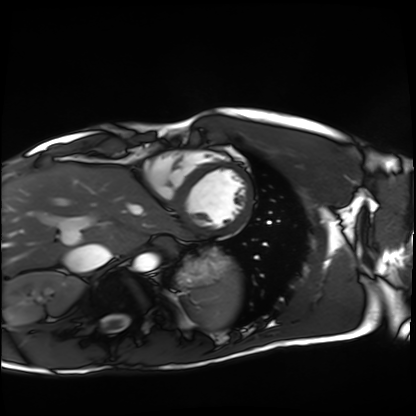
Q: What kind of scan is this?
A: Cardiac MRI.
Subject group: healthy volunteer.